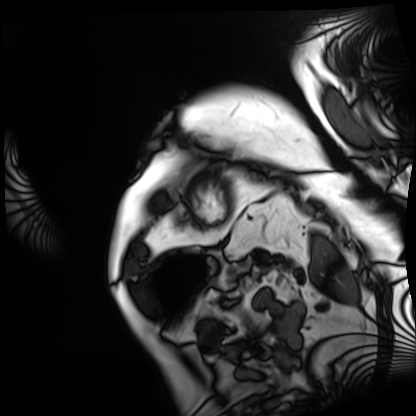
modality: cardiac MRI
cohort: patient